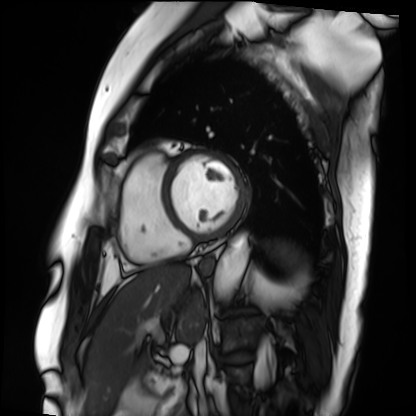
Cardiac MRI. Subject group: patient.